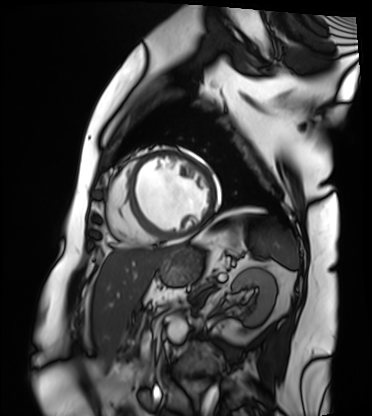
modality: cardiac MRI
cohort: patient